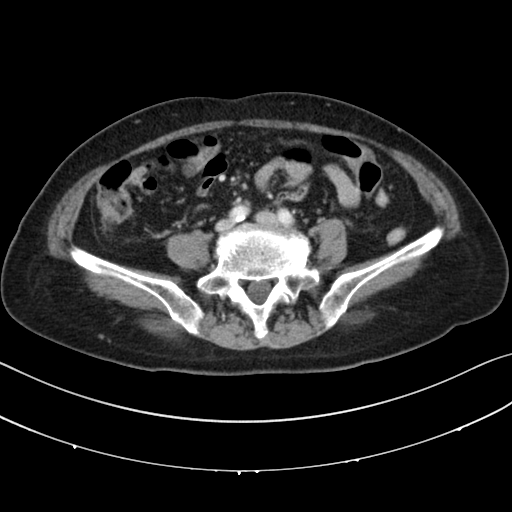
Multiphase abdominal CT, liver, portal venous phase. Patient: female, age 75.